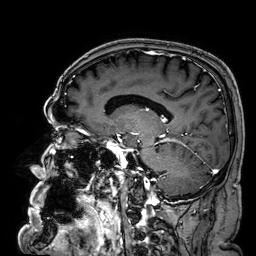
Q: What kind of scan is this?
A: 3 Tesla brain MRI.
Q: Series?
A: 3D T1-weighted.
Study: ring-enhancing brain masses.